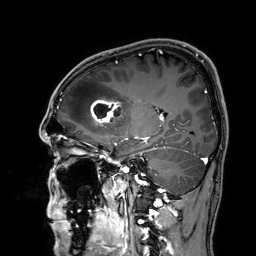
3 Tesla brain MRI. Series: 3D T1-weighted. Study: ring-enhancing brain masses.